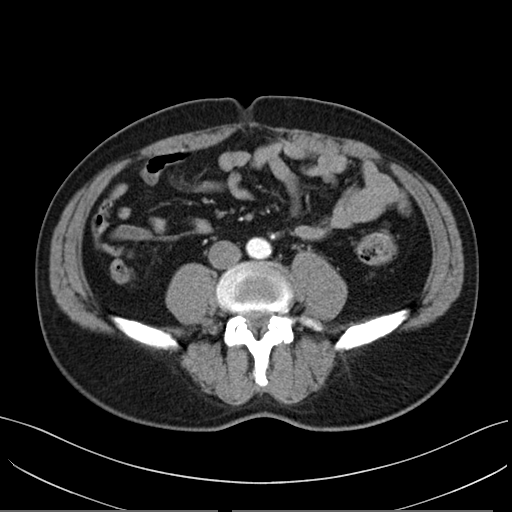
Summary: Multiphase abdominal CT, liver, arterial phase. Patient: male, age 51. History: prior chemotherapy.